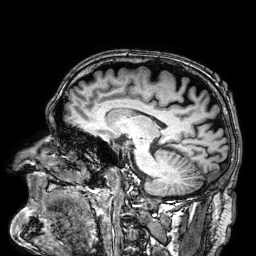
Case summary:
3 Tesla brain MRI. Series: 3D T1-weighted. Study: ring-enhancing brain masses.